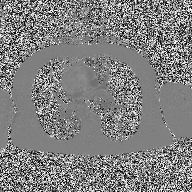
modality — 2D phase-contrast cine MRI of the ascending aorta.